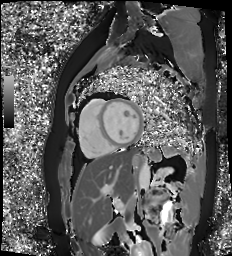
  modality: cardiac MR image of the myocardium
  cohort: healthy volunteer